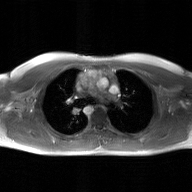
2D phase-contrast cine MRI of the ascending aorta, GAN super-resolution reconstruction.